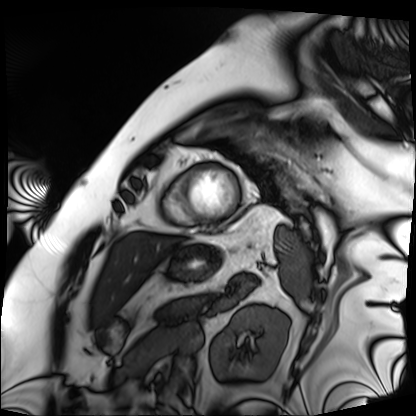
{"modality": "cardiac MRI", "cohort": "patient"}